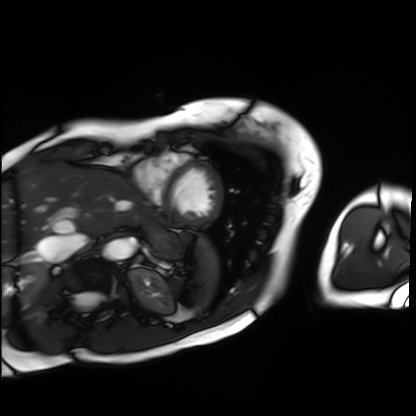
* modality: cardiac MRI
* subject group: patient